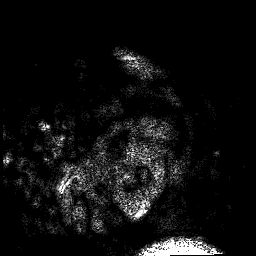
  modality:
    type: brain MRI
    field_strength: 3T
  series: 3D T1-weighted
  study_topic: ring-enhancing brain masses